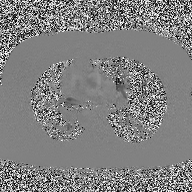
Summary: 2D phase-contrast cine MRI of the ascending aorta, high-resolution GRAPPA acquisition.